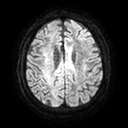
Q: What kind of scan is this?
A: 3 Tesla brain MRI.
Q: Series?
A: Diffusion tensor imaging (medium iso).
Study: ring-enhancing brain masses.